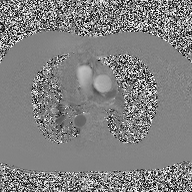
| field | value |
|---|---|
| modality | 2D phase-contrast cine MRI of the ascending aorta |